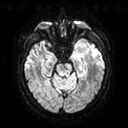
Clinical context:
3 Tesla brain MRI. Series: diffusion tensor imaging (medium iso). Study: ring-enhancing brain masses.